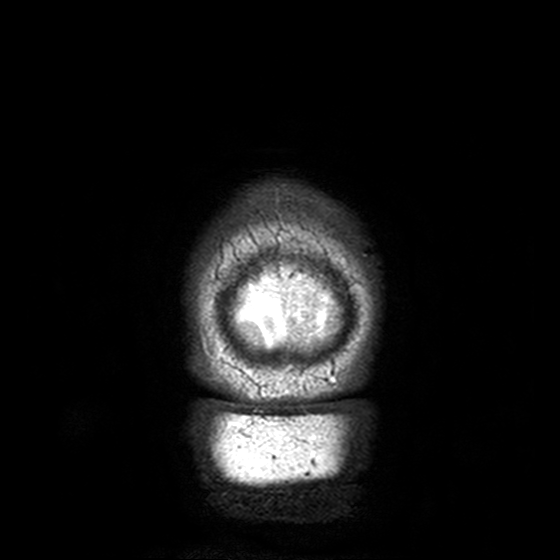
3 Tesla brain MRI. Series: T2-weighted turbo spin echo, 3 mm. Study: ring-enhancing brain masses.